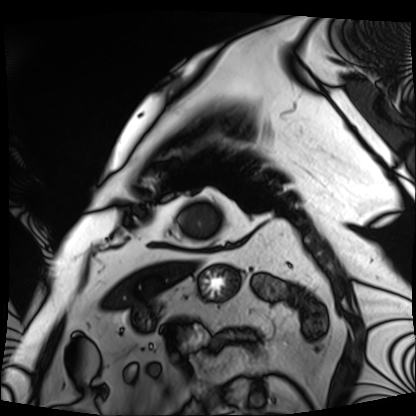
Cardiac MRI. Subject group: patient.